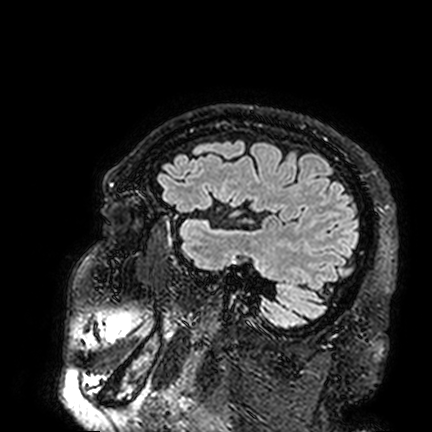
• modality — 3 Tesla brain MRI
• series — FLAIR VISTA
• study — ring-enhancing brain masses